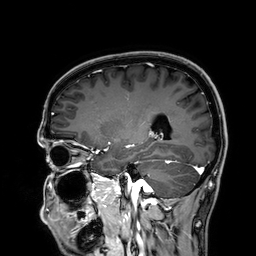
- modality — 3 Tesla brain MRI
- series — 3D T1-weighted
- study — ring-enhancing brain masses